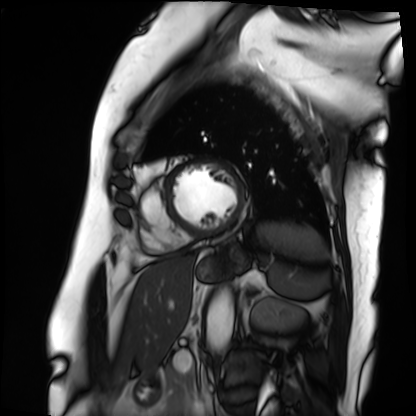
Summary:
Cardiac MRI. Subject group: patient.